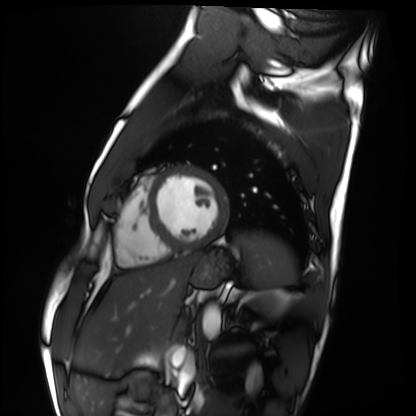
{"modality": "cardiac MRI", "cohort": "healthy volunteer"}